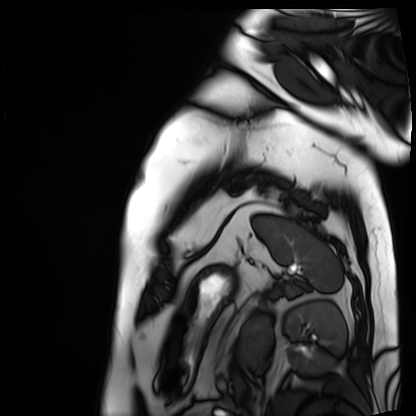
Cardiac MRI. Subject group: patient.